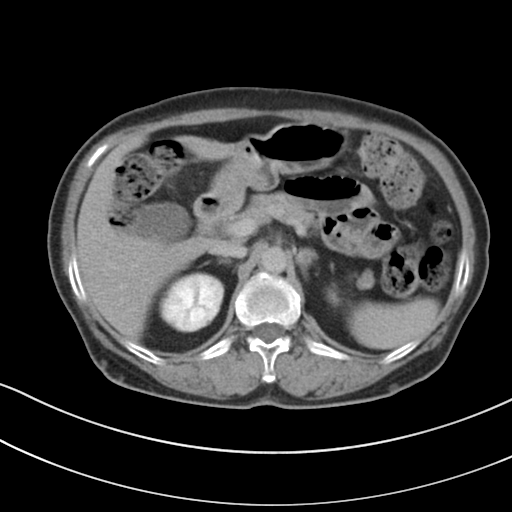
modality: multiphase abdominal CT, liver, delayed phase; patient: female, age 72.